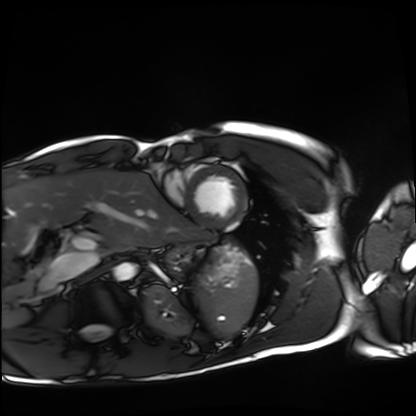
Q: What kind of scan is this?
A: Cardiac MRI.
Subject group: healthy volunteer.